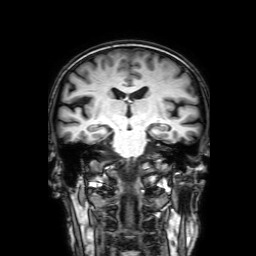
Summary: 3 Tesla brain MRI. Series: 3D T1-weighted with SENSE. Study: ring-enhancing brain masses.